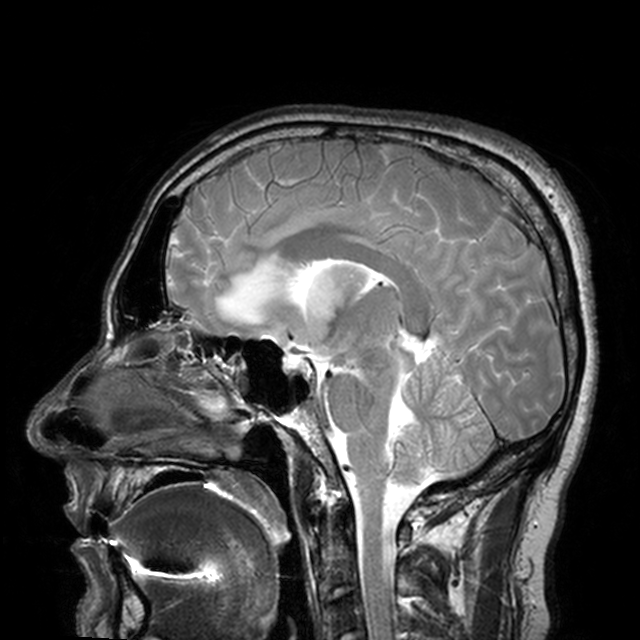
{
  "modality": {
    "type": "brain MRI",
    "field_strength": "3T"
  },
  "series": "T2-weighted turbo spin echo with CLEAR",
  "study_topic": "ring-enhancing brain masses"
}